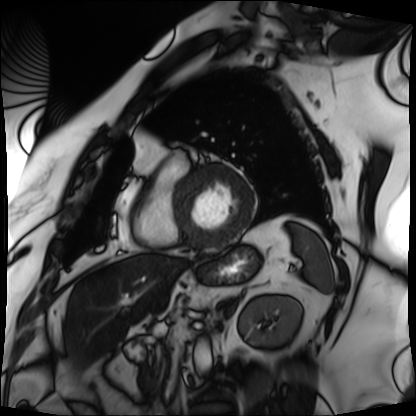
Q: What kind of scan is this?
A: Cardiac MRI.
Subject group: patient.